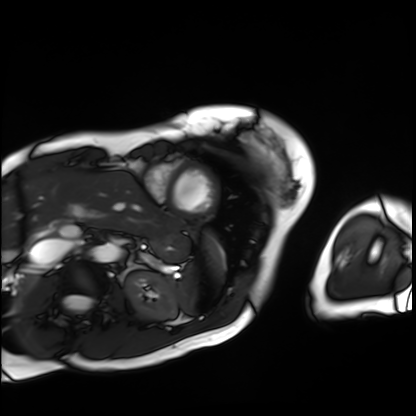
modality = cardiac MRI | subject group = patient.